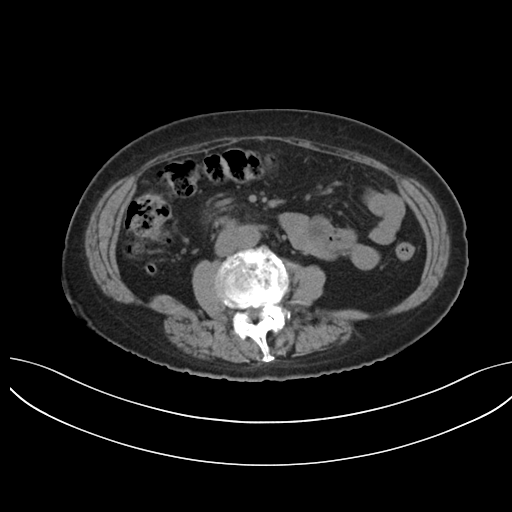
Summary: Multiphase abdominal CT, liver, non-contrast phase. Patient: female, age 74.